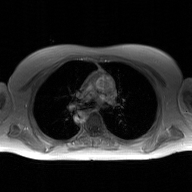
modality: 2D phase-contrast cine MRI of the ascending aorta, GAN super-resolution reconstruction.